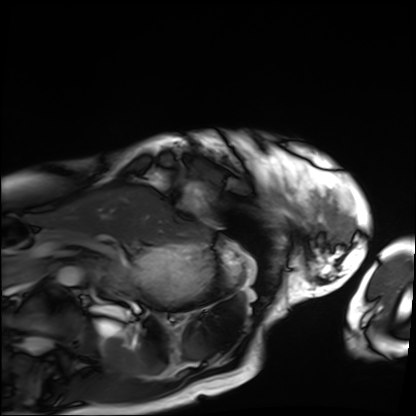
Summary: Cardiac MRI. Subject group: patient.